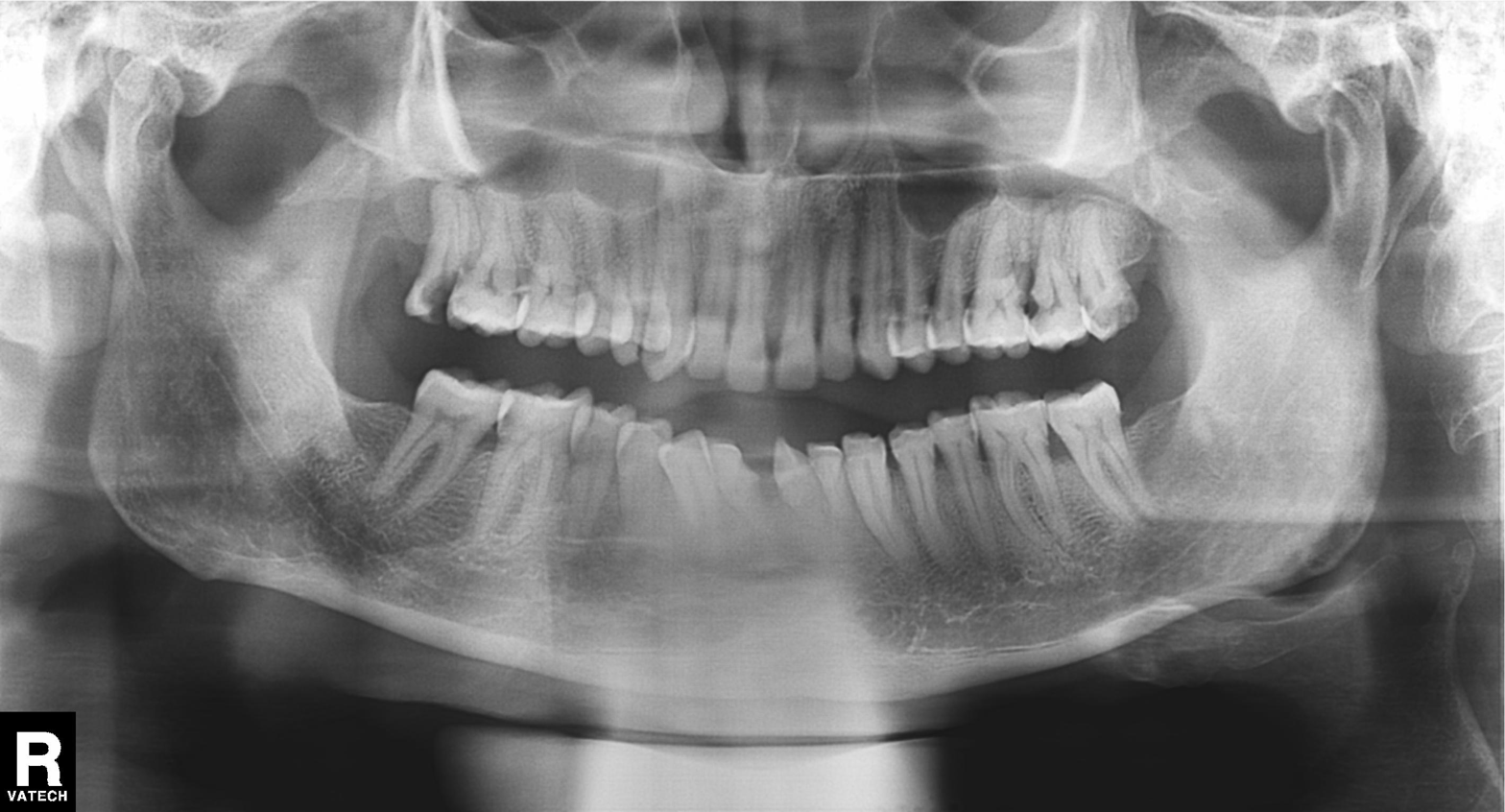
Panoramic dental radiograph (orthopantomogram). Finding: tooth impaction.